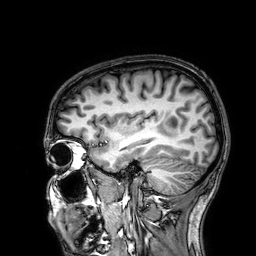
modality: 3 Tesla brain MRI | series: 3D T1-weighted | study: ring-enhancing brain masses.